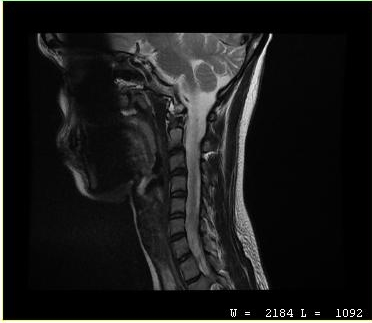
{
  "modality": {
    "type": "cervical spine MRI"
  },
  "study_topic": "cervical spondylosis"
}